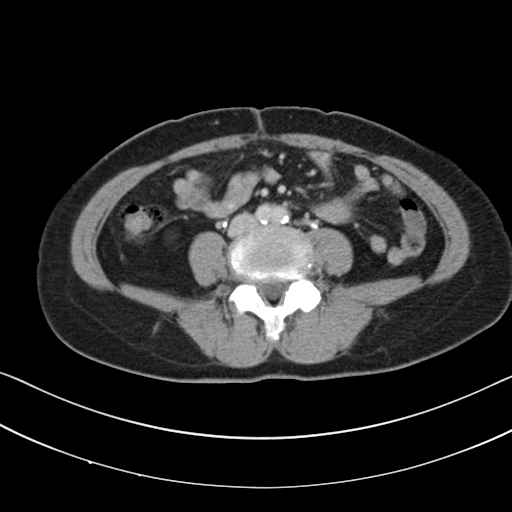
Multiphase abdominal CT, liver, delayed phase. Patient: female, age 57. History: prior chemotherapy.